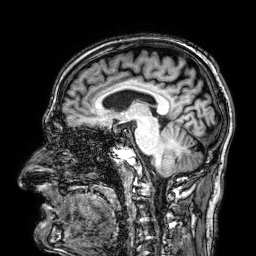
<case>
<modality>
  <type>brain MRI</type>
  <field_strength>3T</field_strength>
</modality>
<series>3D T1-weighted</series>
<study_topic>ring-enhancing brain masses</study_topic>
</case>